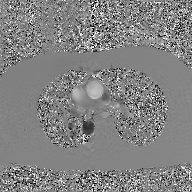
- modality: 2D phase-contrast cine MRI of the ascending aorta, GAN super-resolution reconstruction